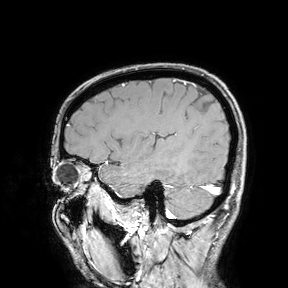
Case summary: 3 Tesla brain MRI. Study: ring-enhancing brain masses.